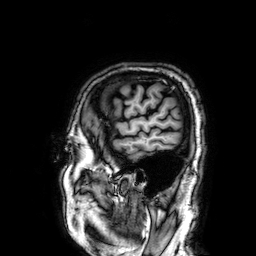
3 Tesla brain MRI.
Series: 3D T1-weighted.
Study: ring-enhancing brain masses.